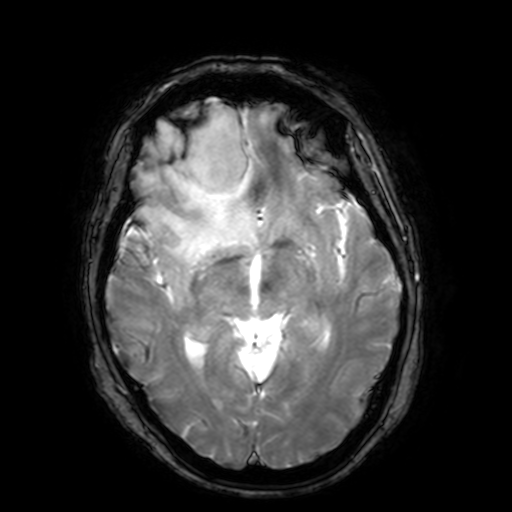
3 Tesla brain MRI. Series: T2-weighted fast field echo with SENSE. Study: ring-enhancing brain masses.